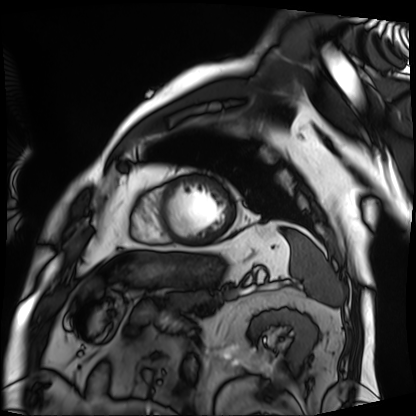
Case:
– modality: cardiac MRI
– subject group: patient